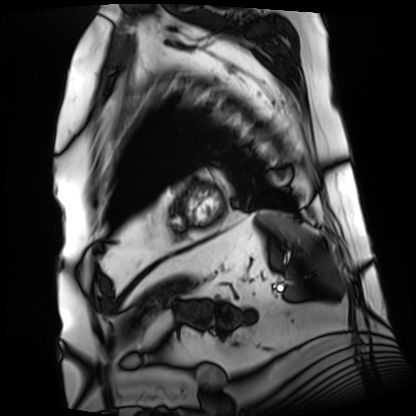
Cardiac MRI. Subject group: patient.